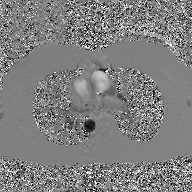
– modality — 2D phase-contrast cine MRI of the ascending aorta, GAN super-resolution reconstruction